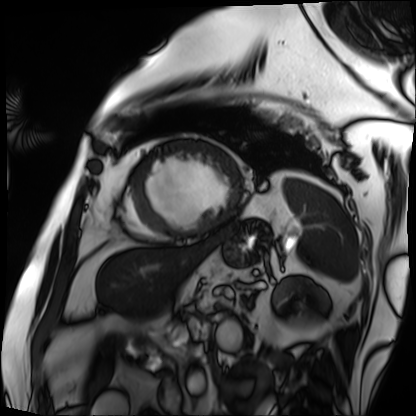
– modality: cardiac MRI
– subject group: patient